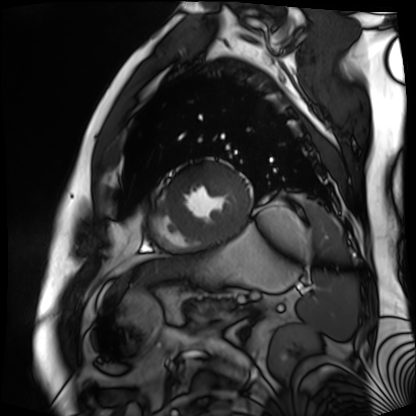
Cardiac MR image of the myocardium.
Subject cohort: cardiac patient.